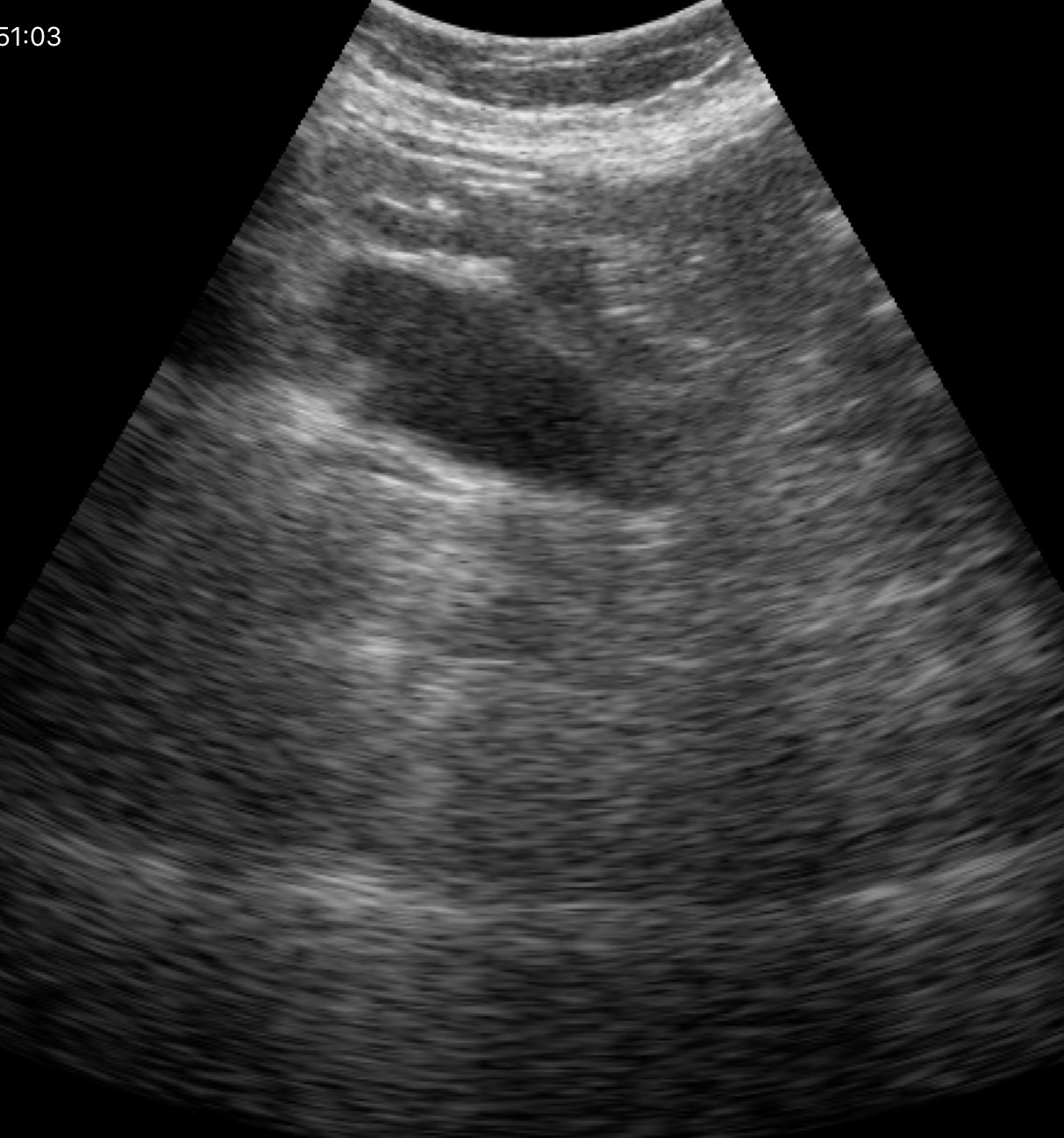
Genitourinary ultrasound.